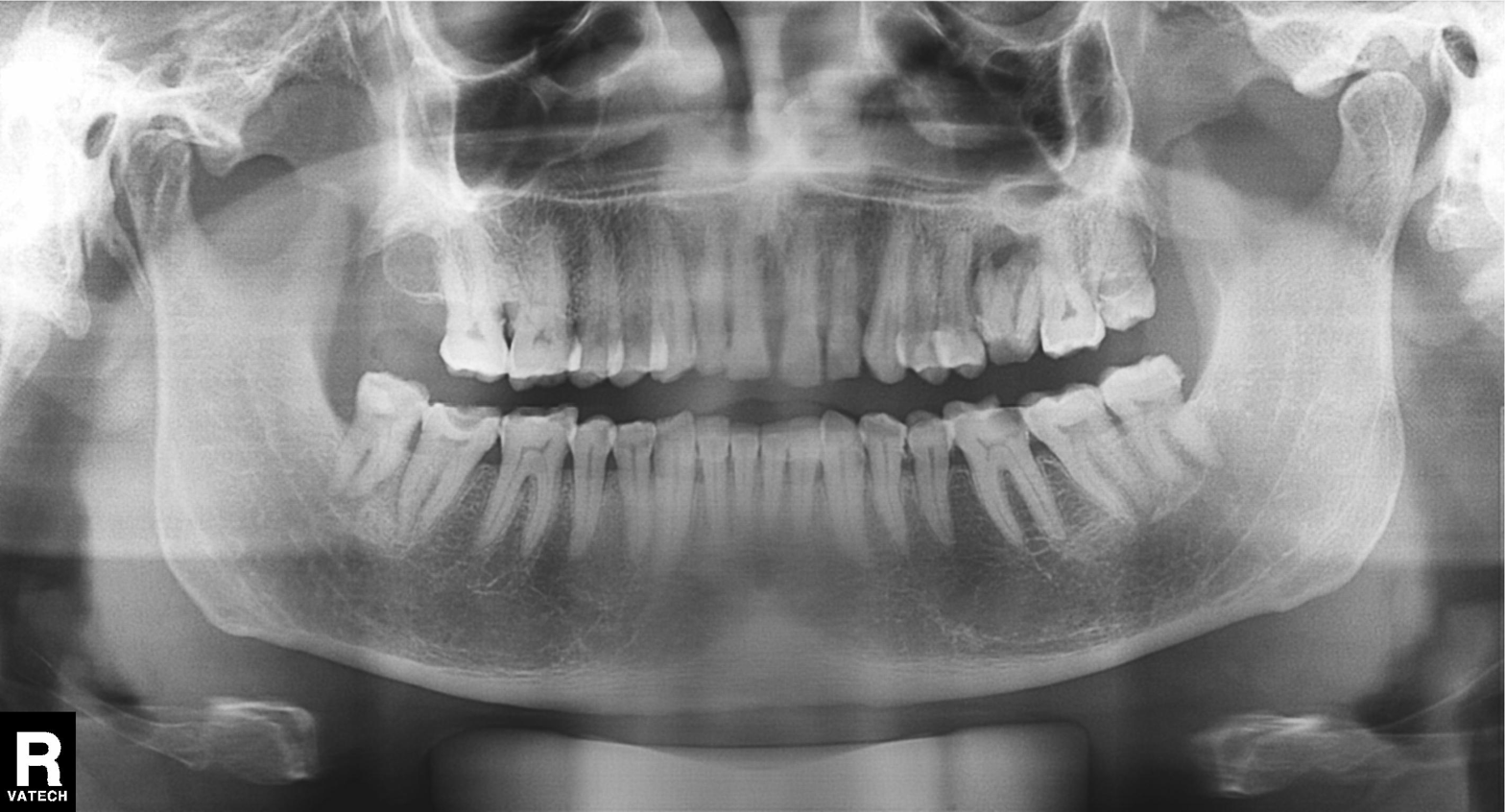
Q: What kind of scan is this?
A: Panoramic dental radiograph (orthopantomogram).
Q: What is the radiographic finding?
A: Alveolar bone loss.